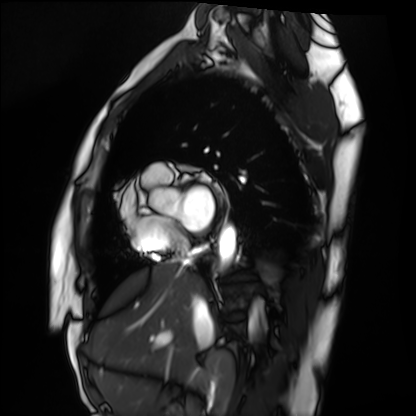
Cardiac MRI. Subject group: healthy volunteer.